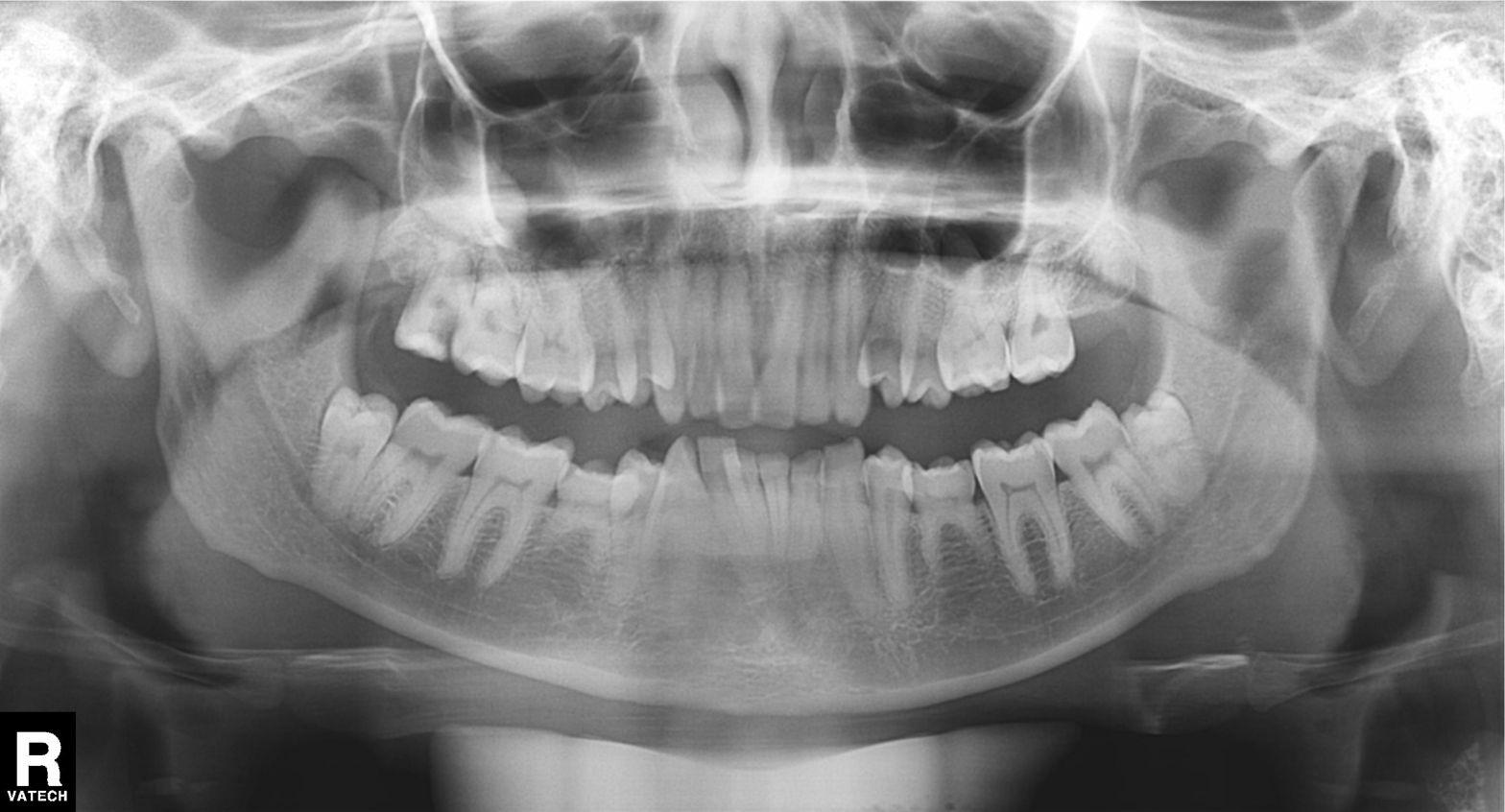
Panoramic dental radiograph (orthopantomogram). Finding: tooth impaction.